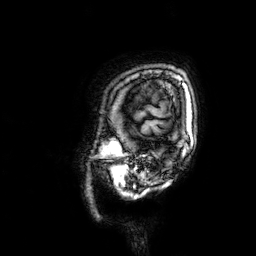
Case summary: 3 Tesla brain MRI. Series: 3D T1-weighted. Study: ring-enhancing brain masses.